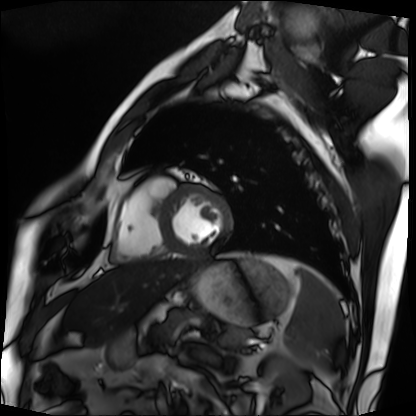
Cardiac MRI.
Subject group: patient.